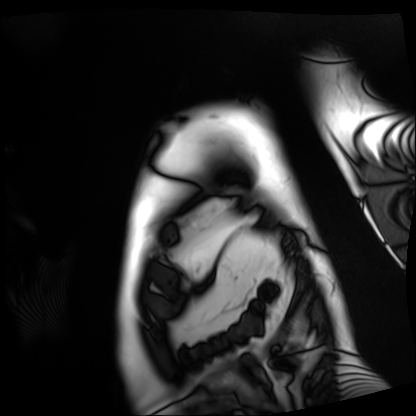
Cardiac MRI. Subject group: patient.